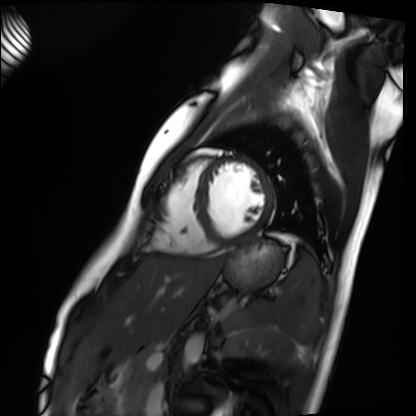
Summary:
Cardiac MRI. Subject group: healthy volunteer.